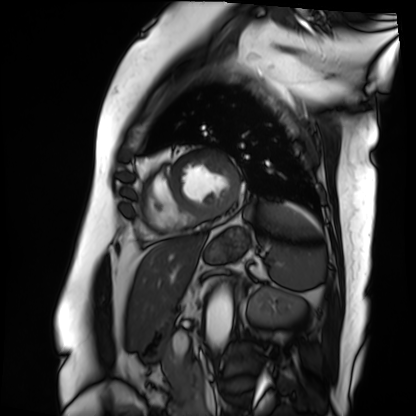
Cardiac MRI.
Subject group: patient.